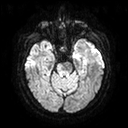
Summary:
3 Tesla brain MRI. Series: diffusion tensor imaging (medium iso). Study: ring-enhancing brain masses.